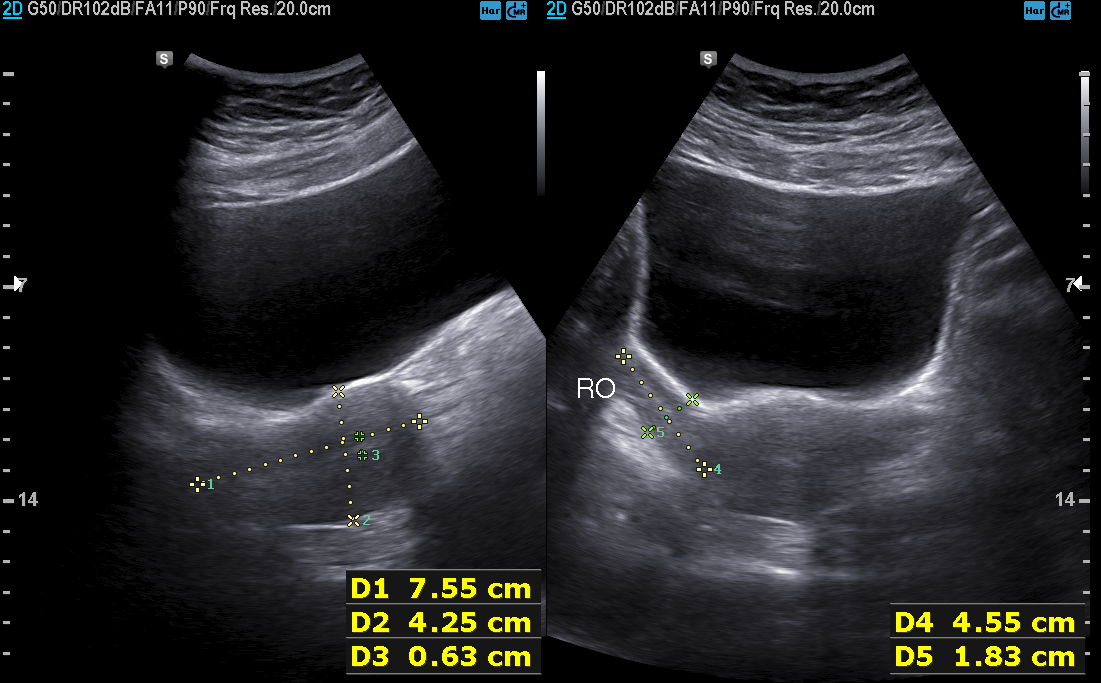
Q: What kind of scan is this?
A: Genitourinary ultrasound.